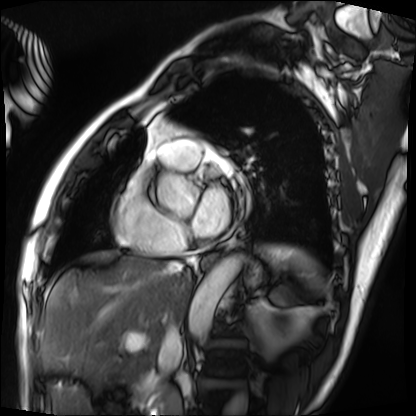
Case summary: Cardiac MRI. Subject group: patient.